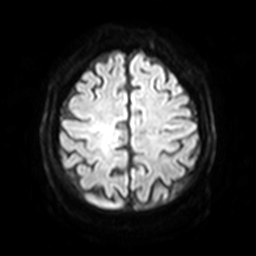
Q: What kind of scan is this?
A: 3 Tesla brain MRI.
Q: Series?
A: Diffusion-weighted imaging with SENSE (WIP).
Study: ring-enhancing brain masses.